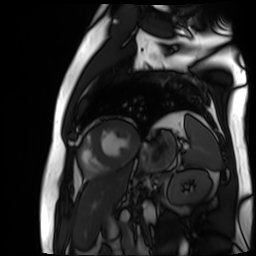
Q: What kind of scan is this?
A: Cardiac MR image of the myocardium.
Subject cohort: cardiac patient.